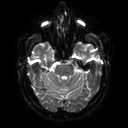
Q: What kind of scan is this?
A: 3 Tesla brain MRI.
Q: Series?
A: Diffusion tensor imaging (medium iso).
Study: ring-enhancing brain masses.